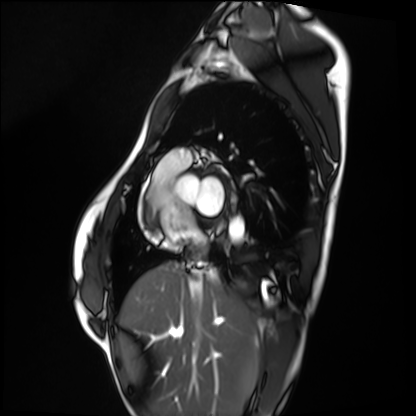
modality: cardiac MRI
cohort: healthy volunteer